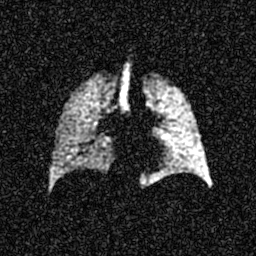
modality: hyperpolarized 129Xe ventilation MRI of the lungs
snr_level: 6 of 8 (the deposit holds this scan as its native image and as seven SNR-degraded versions)